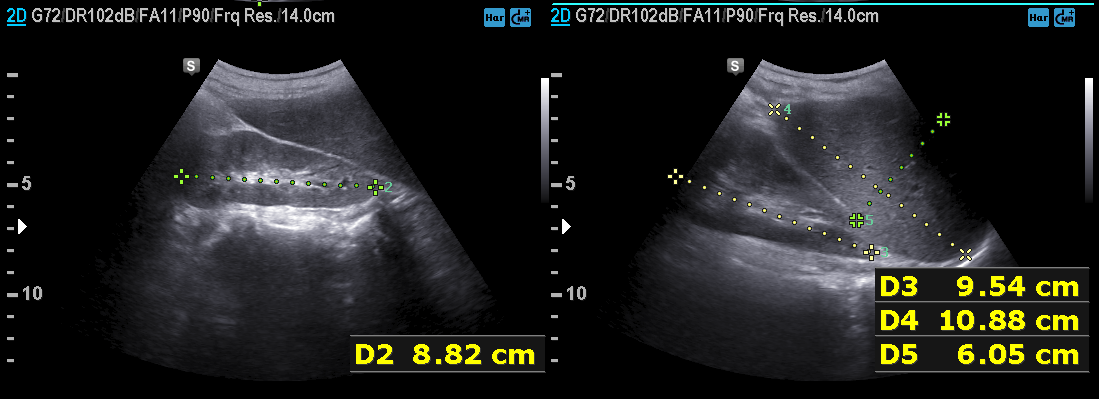
Q: What kind of scan is this?
A: Genitourinary ultrasound.